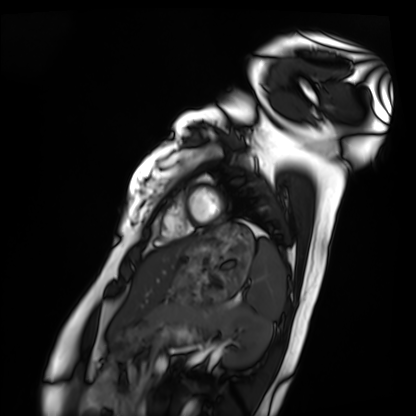
Cardiac MRI.
Subject group: healthy volunteer.